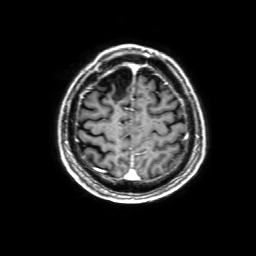
{
  "modality": {
    "type": "brain MRI",
    "field_strength": "3T"
  },
  "series": "3D T1-weighted with SENSE",
  "study_topic": "ring-enhancing brain masses"
}